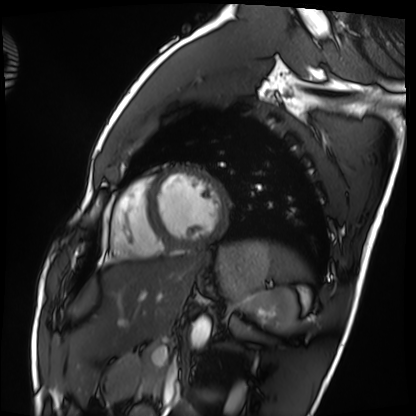
Cardiac MRI.
Subject group: healthy volunteer.